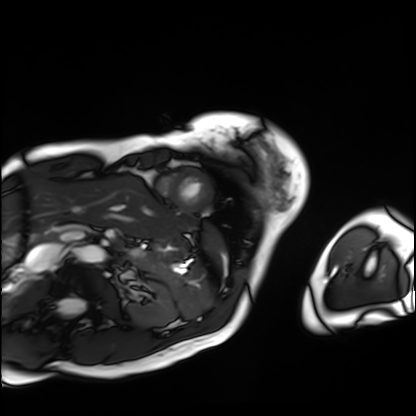
Summary: Cardiac MRI. Subject group: patient.